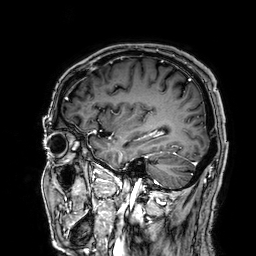
Clinical context: 3 Tesla brain MRI. Series: 3D T1-weighted. Study: ring-enhancing brain masses.